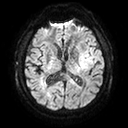
3 Tesla brain MRI. Series: diffusion tensor imaging (medium iso). Study: ring-enhancing brain masses.